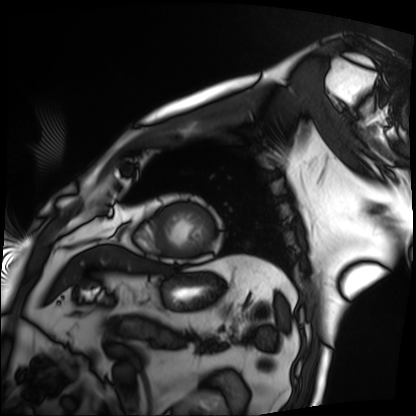
modality — cardiac MRI; subject group — patient.